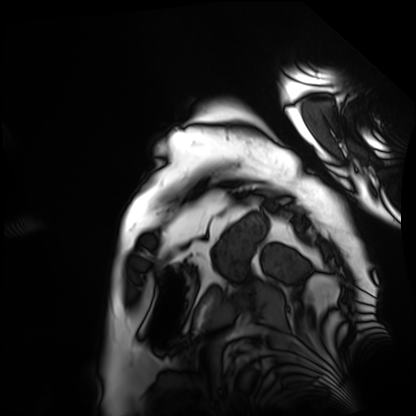
Cardiac MRI. Subject group: patient.